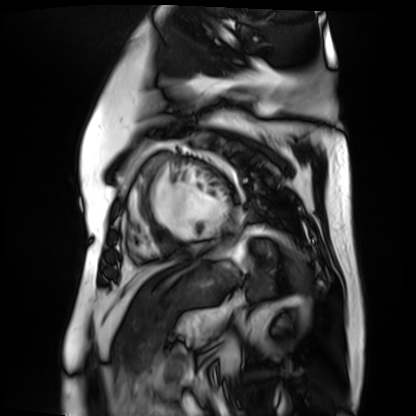
modality = cardiac MR image of the myocardium; subject cohort = cardiac patient.